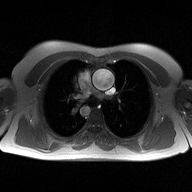
modality: 2D phase-contrast cine MRI of the ascending aorta